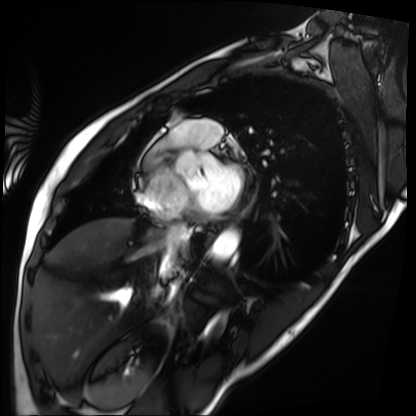
modality=cardiac MRI; subject group=patient.